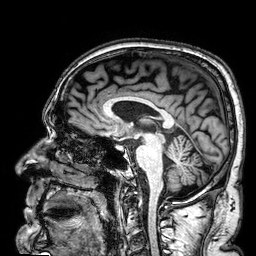
modality:
  type: brain MRI
  field_strength: 3T
series: 3D T1-weighted
study_topic: ring-enhancing brain masses